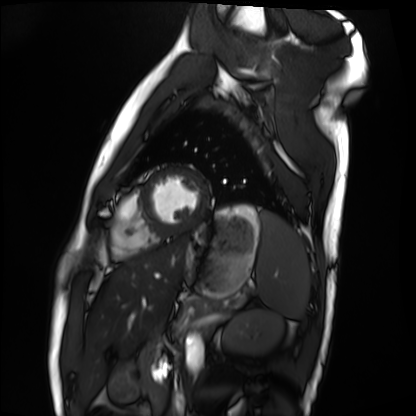
modality = cardiac MRI | subject group = healthy volunteer.